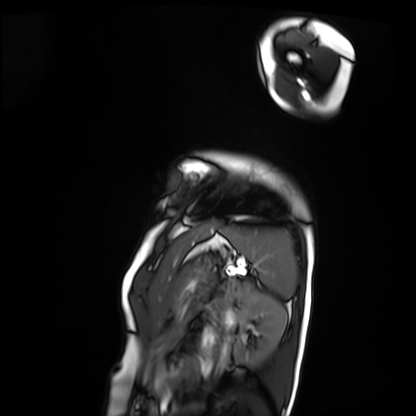
– modality: cardiac MRI
– subject group: patient